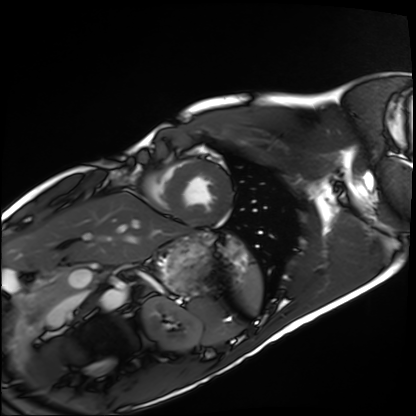
  modality: cardiac MRI
  cohort: healthy volunteer